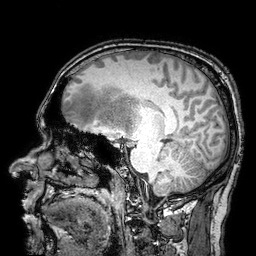
<scan>
  <modality>
    <type>brain MRI</type>
    <field_strength>3T</field_strength>
  </modality>
  <series>3D T1-weighted turbo field echo with SENSE</series>
  <study_topic>ring-enhancing brain masses</study_topic>
</scan>